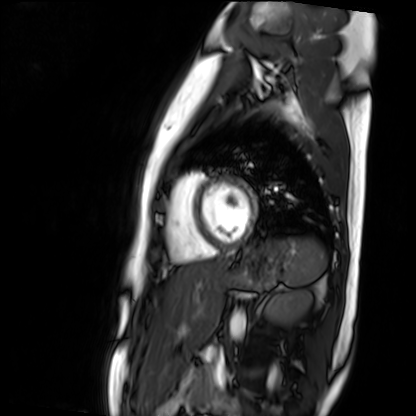
{
  "modality": "cardiac MR image of the myocardium",
  "cohort": "healthy volunteer"
}